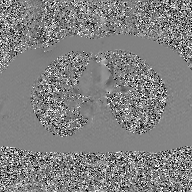
* modality · 2D phase-contrast cine MRI of the ascending aorta, GAN super-resolution reconstruction